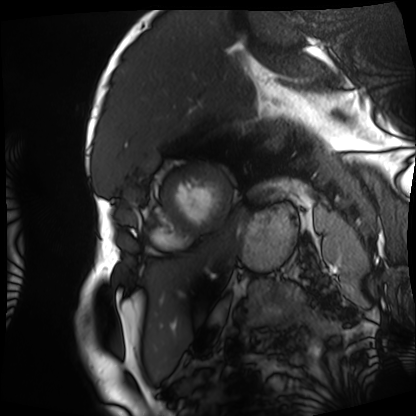
Cardiac MRI.
Subject group: patient.